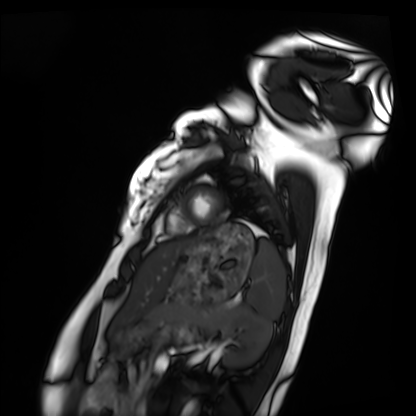
Cardiac MRI.
Subject group: healthy volunteer.